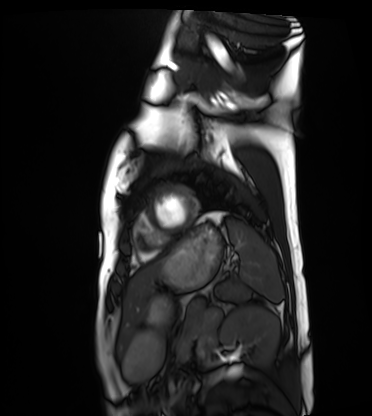
{
  "modality": "cardiac MRI",
  "cohort": "healthy volunteer"
}